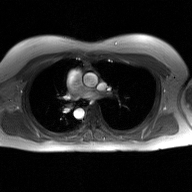
modality: 2D phase-contrast cine MRI of the ascending aorta, GAN super-resolution reconstruction.